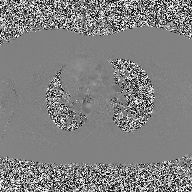
modality=2D phase-contrast cine MRI of the ascending aorta.